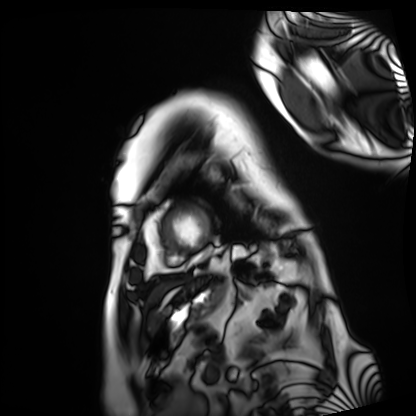
Cardiac MRI.
Subject group: patient.